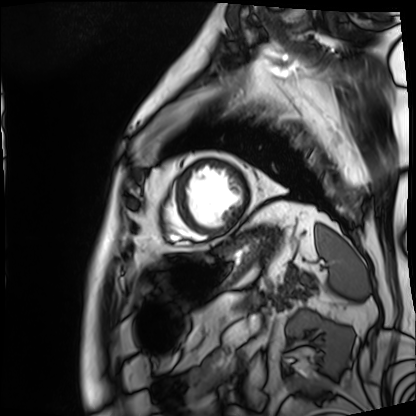
Cardiac MRI.
Subject group: patient.